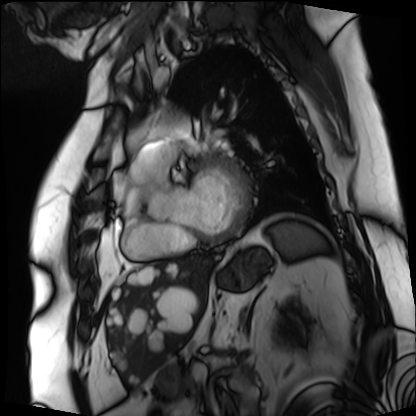
Cardiac MRI. Subject group: patient.